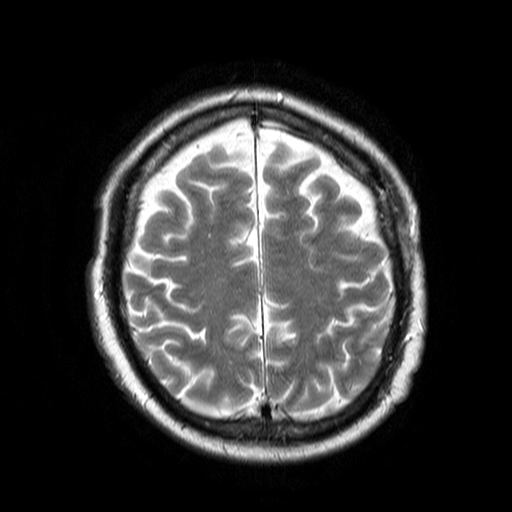
| field | value |
|---|---|
| modality | 3 Tesla brain MRI |
| series | T2-weighted turbo spin echo |
| study | ring-enhancing brain masses |